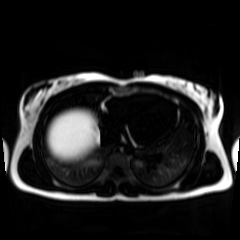
Chemical-shift-encoded cardiac MRI.